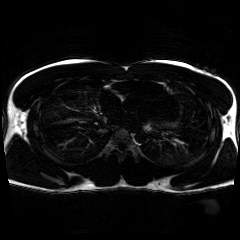
Chemical-shift-encoded cardiac MRI.